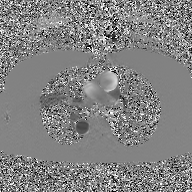
2D phase-contrast cine MRI of the ascending aorta, GAN super-resolution reconstruction.